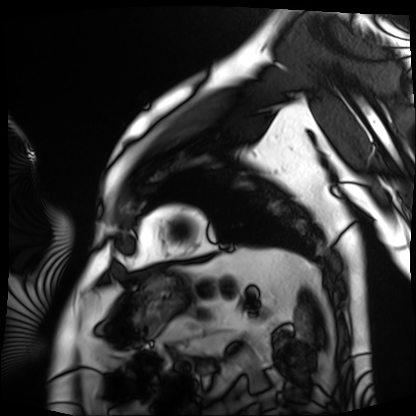
<study>
  <modality>cardiac MRI</modality>
  <cohort>patient</cohort>
</study>